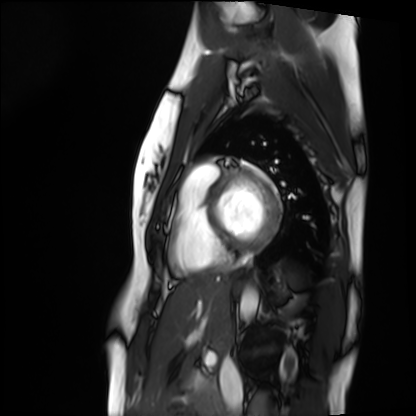
• modality: cardiac MRI
• subject group: healthy volunteer